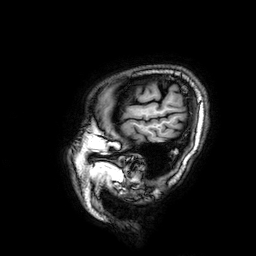
Summary:
3 Tesla brain MRI. Series: 3D T1-weighted. Study: ring-enhancing brain masses.